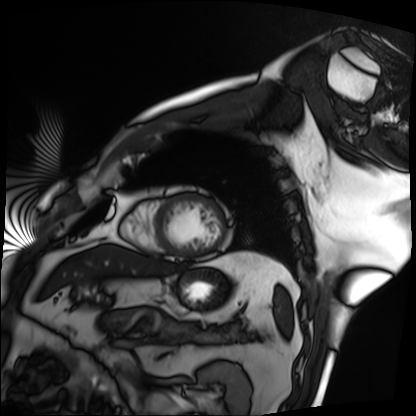
Cardiac MRI. Subject group: patient.